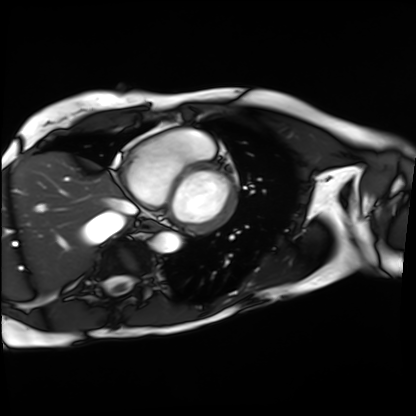
Summary: Cardiac MRI. Subject group: patient.